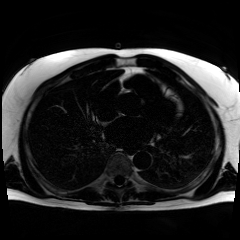
| field | value |
|---|---|
| modality | chemical-shift-encoded cardiac MRI |